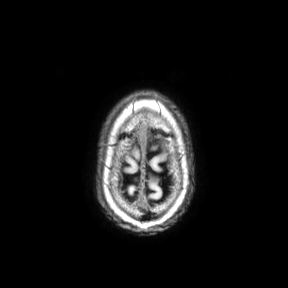
  modality:
    type: brain MRI
    field_strength: 3T
  series: axial
  study_topic: ring-enhancing brain masses